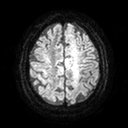
Case:
- modality — 3 Tesla brain MRI
- series — diffusion tensor imaging (medium iso)
- study — ring-enhancing brain masses